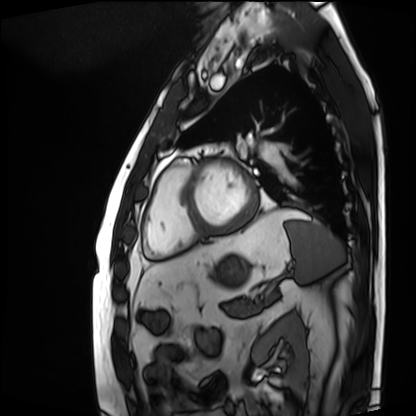
{"modality": "cardiac MRI", "cohort": "patient"}